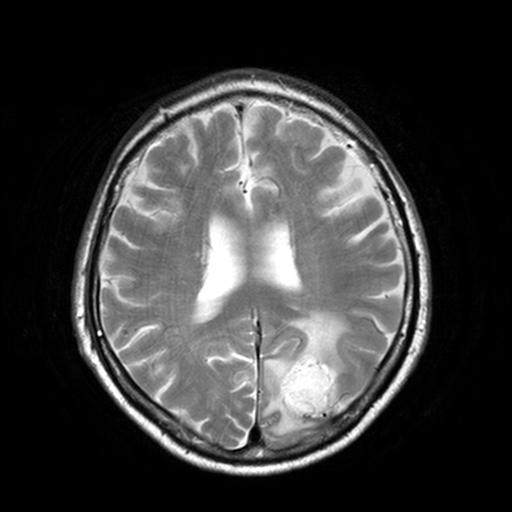
Summary:
3 Tesla brain MRI. Series: T2-weighted turbo spin echo, 3 mm. Study: ring-enhancing brain masses.